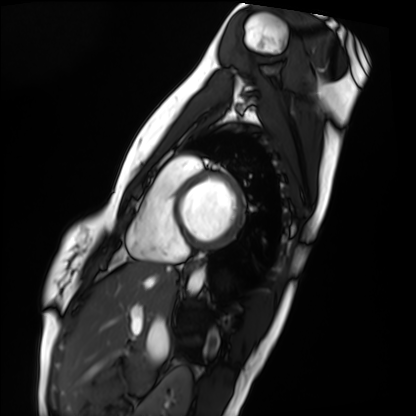
Cardiac MRI. Subject group: healthy volunteer.